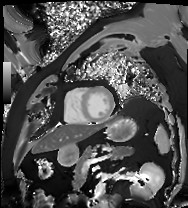
Cardiac MRI.
Subject group: patient.